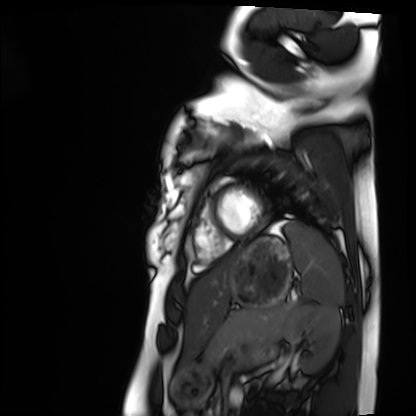
Case summary:
Cardiac MRI. Subject group: healthy volunteer.